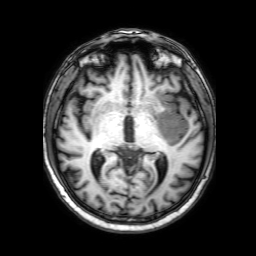
3 Tesla brain MRI. Series: 3D T1-weighted with SENSE. Study: ring-enhancing brain masses.